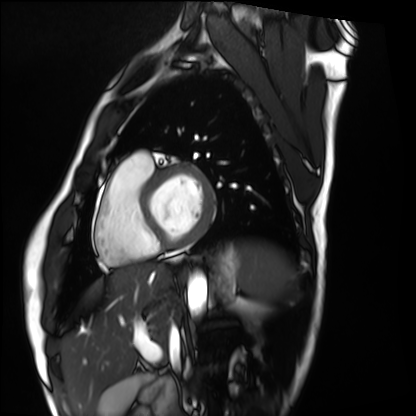
Clinical context:
Cardiac MRI. Subject group: healthy volunteer.